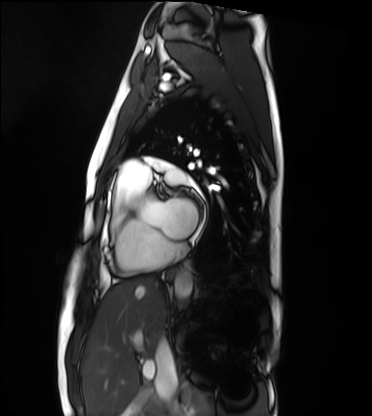
Case:
• modality: cardiac MRI
• subject group: healthy volunteer